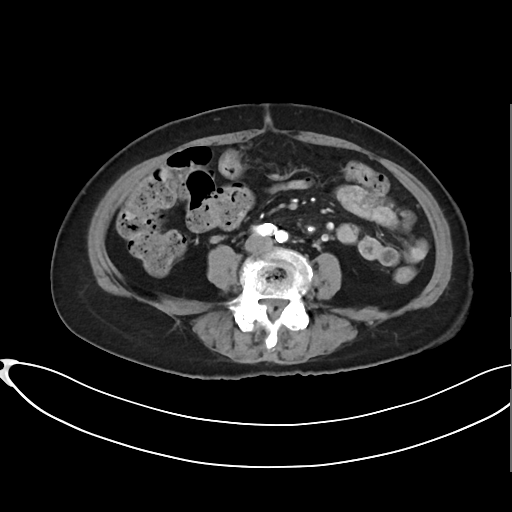
Multiphase abdominal CT, liver, arterial phase.